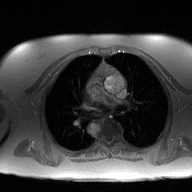
modality:
  type: 2D phase-contrast cine MRI
  region: ascending aorta
  reconstruction: high-resolution GRAPPA acquisition